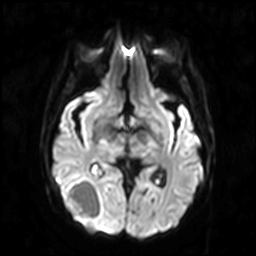
3 Tesla brain MRI. Series: diffusion-weighted imaging. Study: ring-enhancing brain masses.